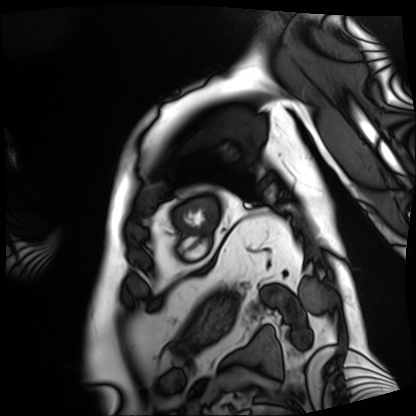
Case:
– modality — cardiac MRI
– subject group — patient